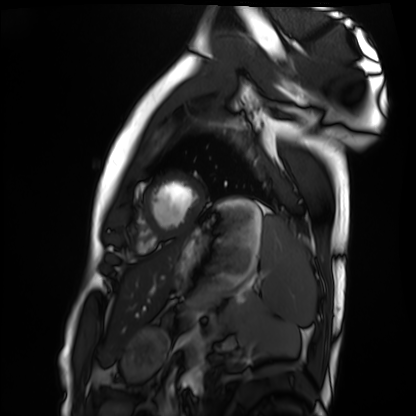
modality = cardiac MRI
subject group = healthy volunteer